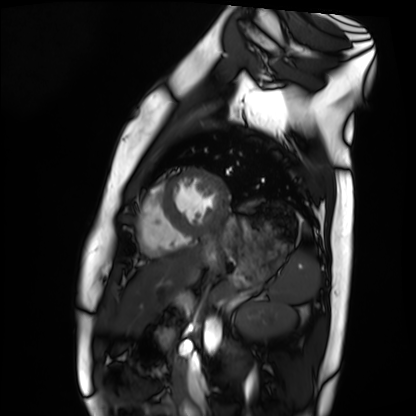
Cardiac MRI. Subject group: healthy volunteer.